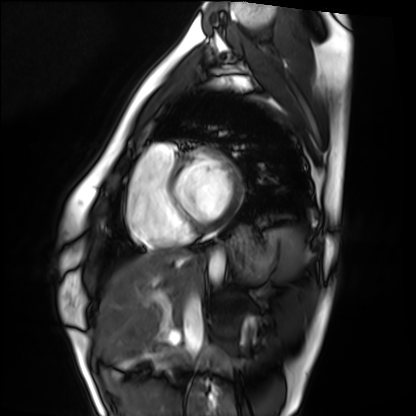
Cardiac MRI.
Subject group: healthy volunteer.